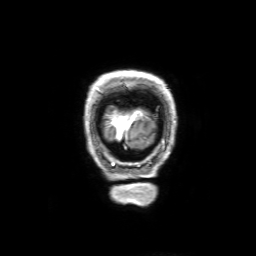
3 Tesla brain MRI. Series: 3D T1-weighted with SENSE. Study: ring-enhancing brain masses.